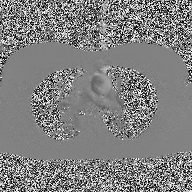
2D phase-contrast cine MRI of the ascending aorta, high-resolution GRAPPA acquisition.